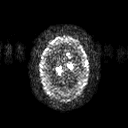
Clinical context:
3 Tesla brain MRI. Study: ring-enhancing brain masses.